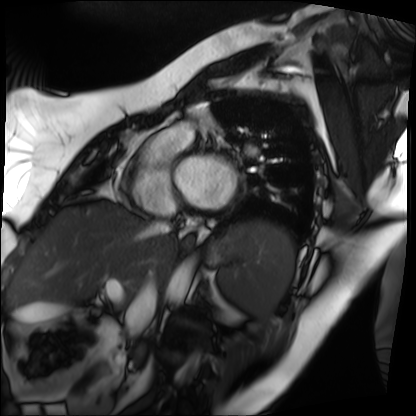
Cardiac MRI. Subject group: patient.